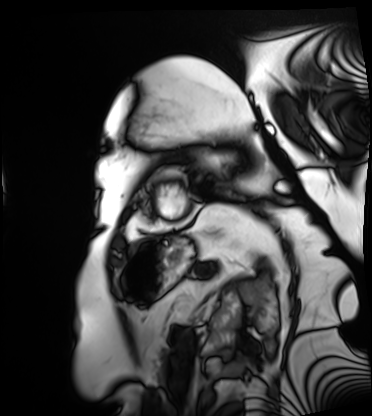
Summary: Cardiac MRI. Subject group: patient.